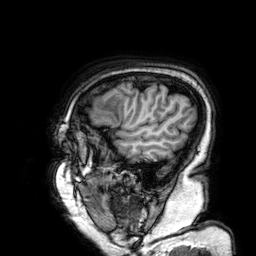
modality: 3 Tesla brain MRI
study: ring-enhancing brain masses